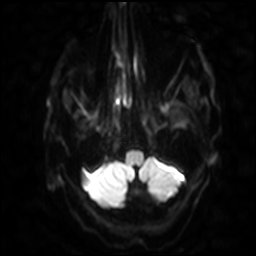
modality — 3 Tesla brain MRI | series — diffusion-weighted imaging with SENSE (WIP) | study — ring-enhancing brain masses.